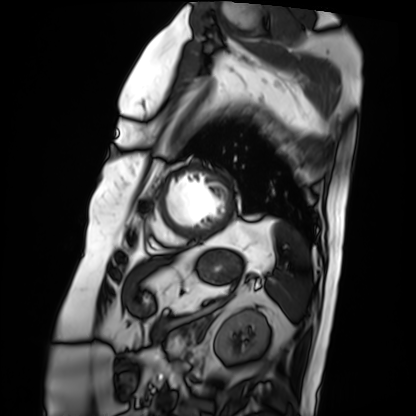
<study>
  <modality>cardiac MRI</modality>
  <cohort>patient</cohort>
</study>